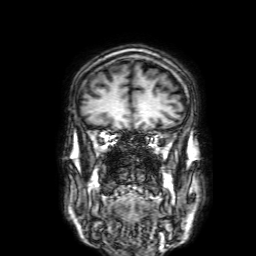
modality=3 Tesla brain MRI
series=3D T1-weighted with SENSE
study=ring-enhancing brain masses